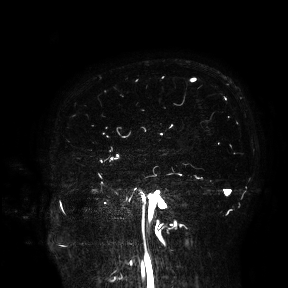
Clinical context: 3 Tesla brain MRI. Study: ring-enhancing brain masses.